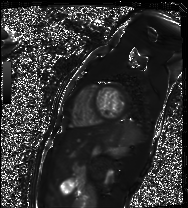
Cardiac MR image of the myocardium. Subject cohort: healthy volunteer.